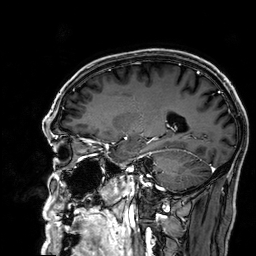
Case:
• modality — 3 Tesla brain MRI
• series — 3D T1-weighted
• study — ring-enhancing brain masses